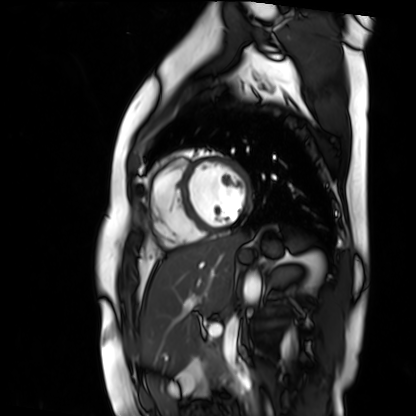
Cardiac MR image of the myocardium. Subject cohort: healthy volunteer.